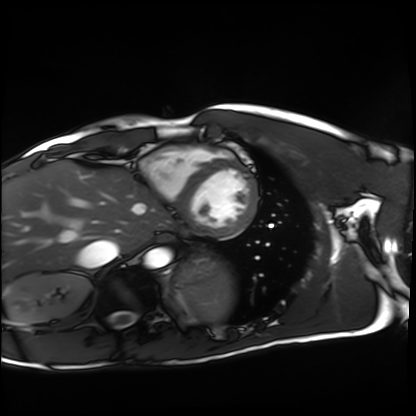
* modality — cardiac MRI
* subject group — healthy volunteer